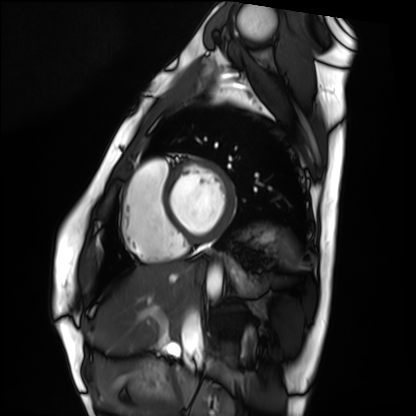
Summary: Cardiac MRI. Subject group: healthy volunteer.